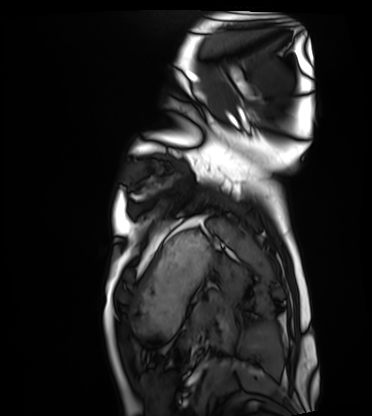
Q: What kind of scan is this?
A: Cardiac MRI.
Subject group: healthy volunteer.